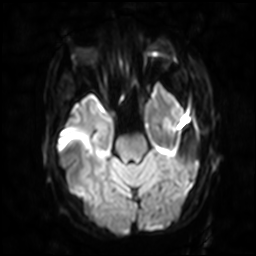
Summary:
3 Tesla brain MRI. Study: ring-enhancing brain masses.